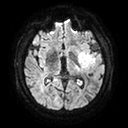
modality: 3 Tesla brain MRI | series: diffusion tensor imaging (medium iso) | study: ring-enhancing brain masses.